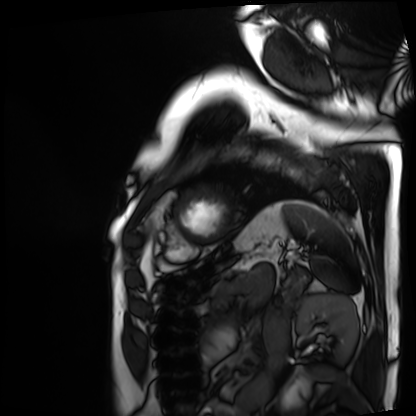
modality = cardiac MRI, subject group = patient.